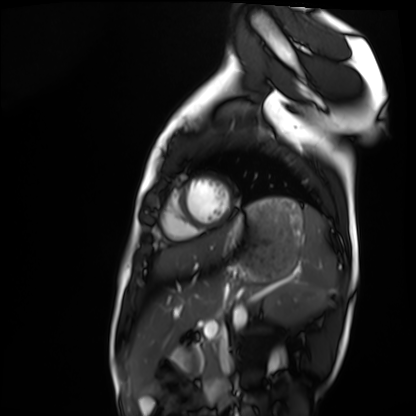
Summary:
Cardiac MRI. Subject group: healthy volunteer.